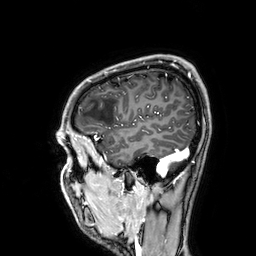
3 Tesla brain MRI. Series: 3D T1-weighted. Study: ring-enhancing brain masses.